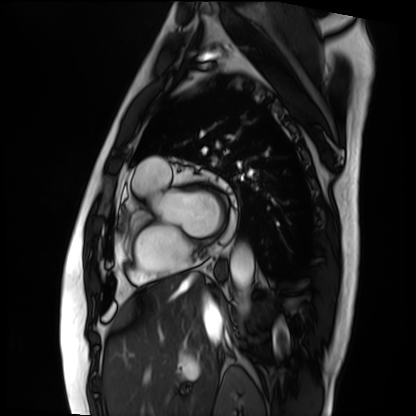
| field | value |
|---|---|
| modality | cardiac MRI |
| subject group | patient |